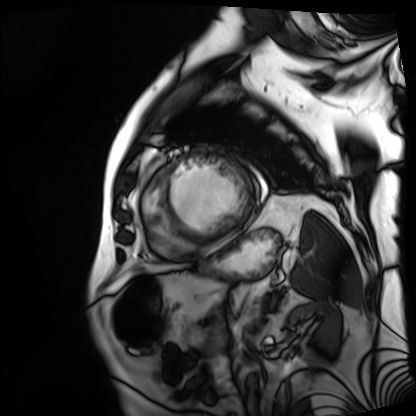
modality: cardiac MRI
subject group: patient